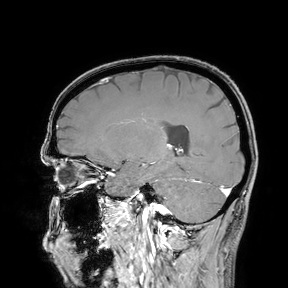
3 Tesla brain MRI.
Study: ring-enhancing brain masses.